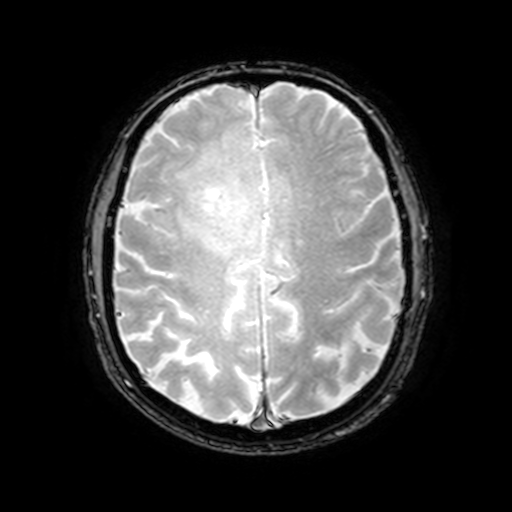
3 Tesla brain MRI. Series: T2-weighted fast field echo with SENSE. Study: ring-enhancing brain masses.